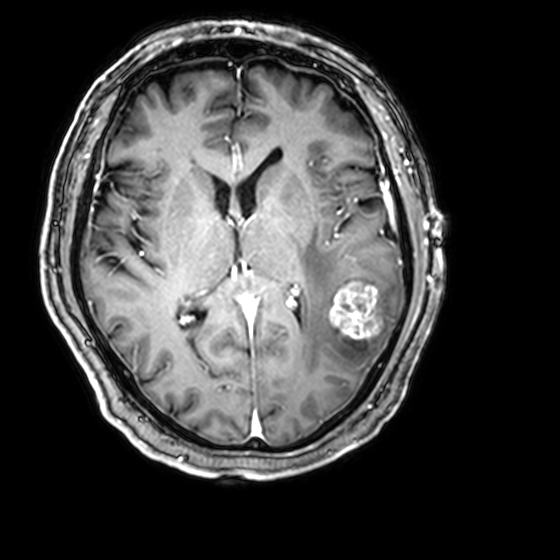
Clinical context: 3 Tesla brain MRI. Series: 3D T1-weighted with CLEAR. Study: ring-enhancing brain masses.